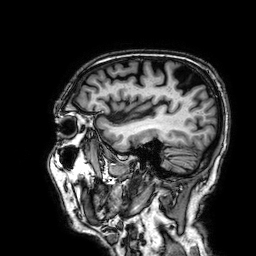
3 Tesla brain MRI. Series: 3D T1-weighted. Study: ring-enhancing brain masses.